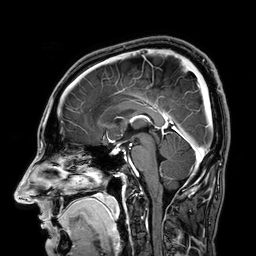
modality: 3 Tesla brain MRI; series: 3D T1-weighted; study: ring-enhancing brain masses.